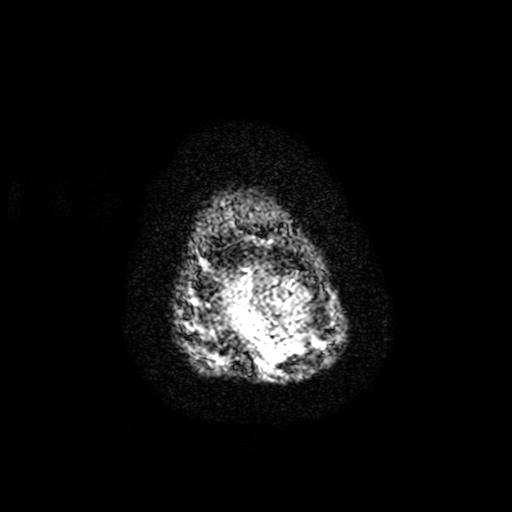
  modality:
    type: brain MRI
    field_strength: 3T
  series: T2-weighted fast field echo with SENSE
  study_topic: ring-enhancing brain masses